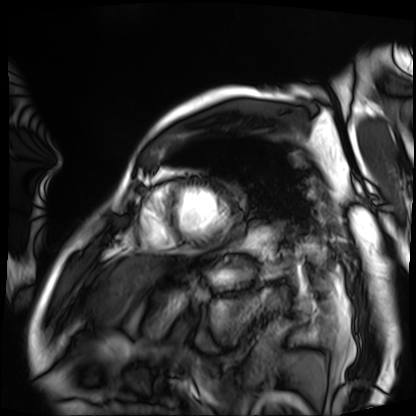
  modality: cardiac MRI
  cohort: patient